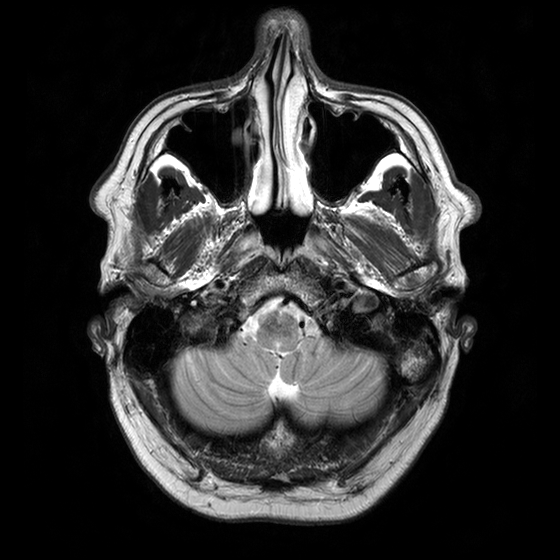
Case summary: 3 Tesla brain MRI. Series: T2-weighted turbo spin echo with CLEAR. Study: ring-enhancing brain masses.